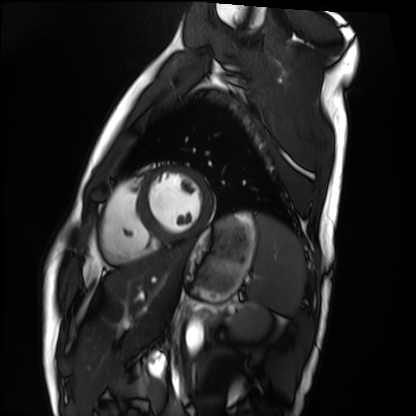
Cardiac MRI.
Subject group: healthy volunteer.